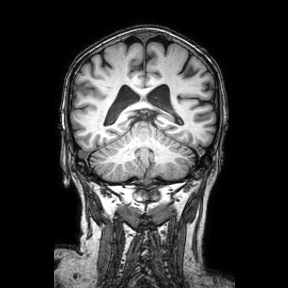
modality: 3 Tesla brain MRI
series: coronal
study: ring-enhancing brain masses